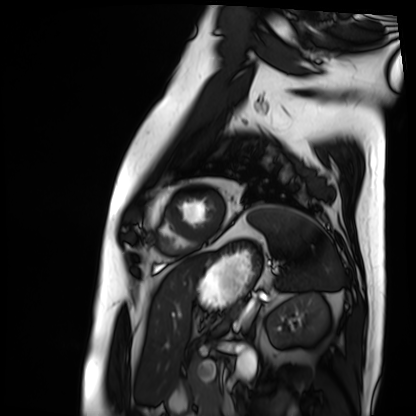
Cardiac MRI. Subject group: patient.